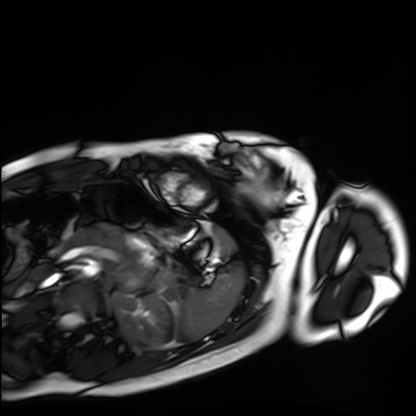
Case summary:
Cardiac MRI. Subject group: healthy volunteer.